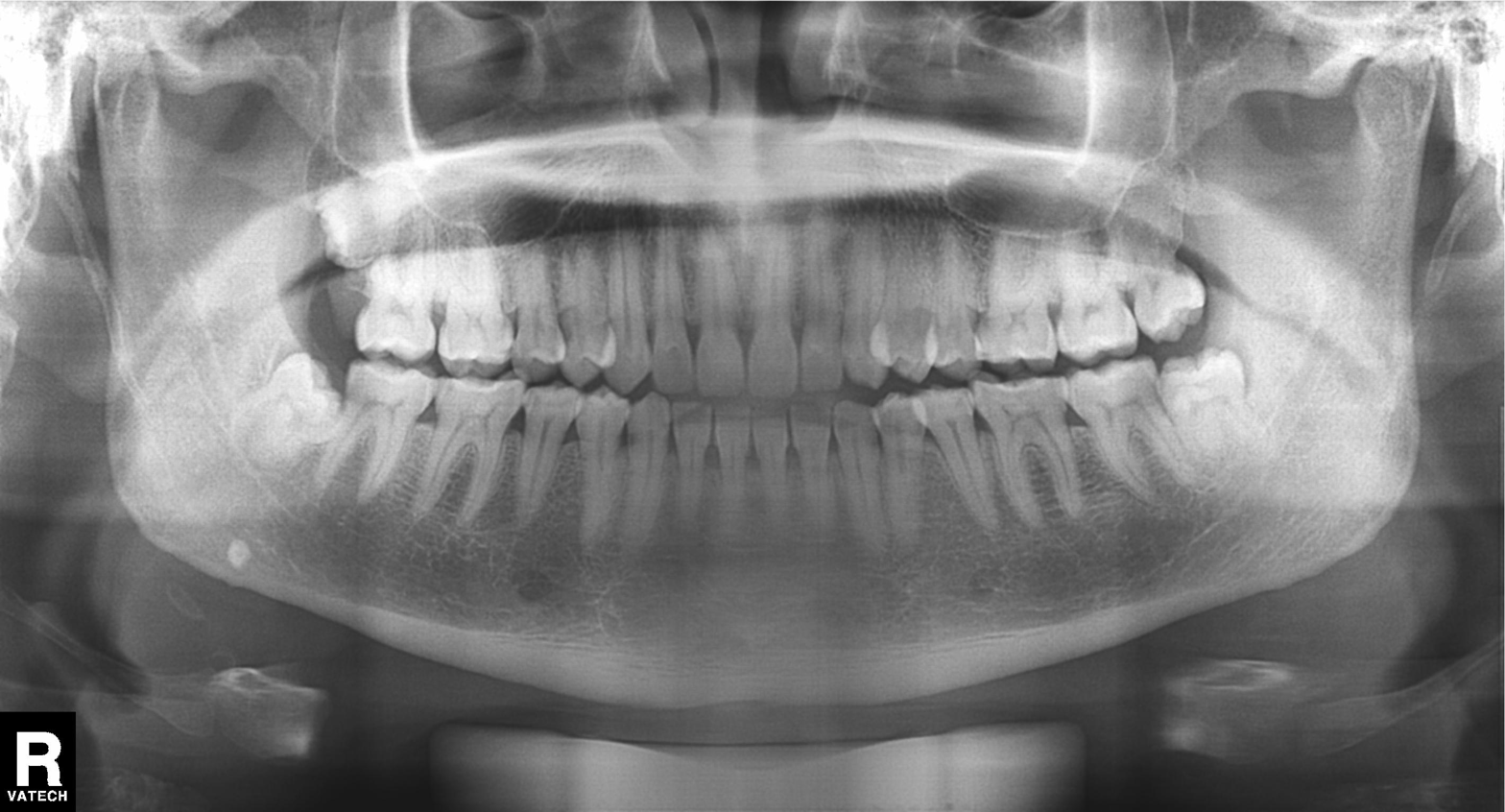
| field | value |
|---|---|
| modality | panoramic dental radiograph (orthopantomogram) |
| finding | alveolar bone loss |